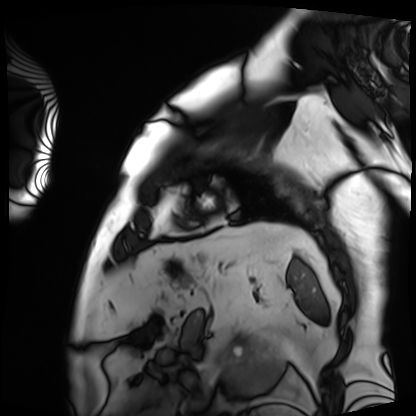
  modality: cardiac MRI
  cohort: patient